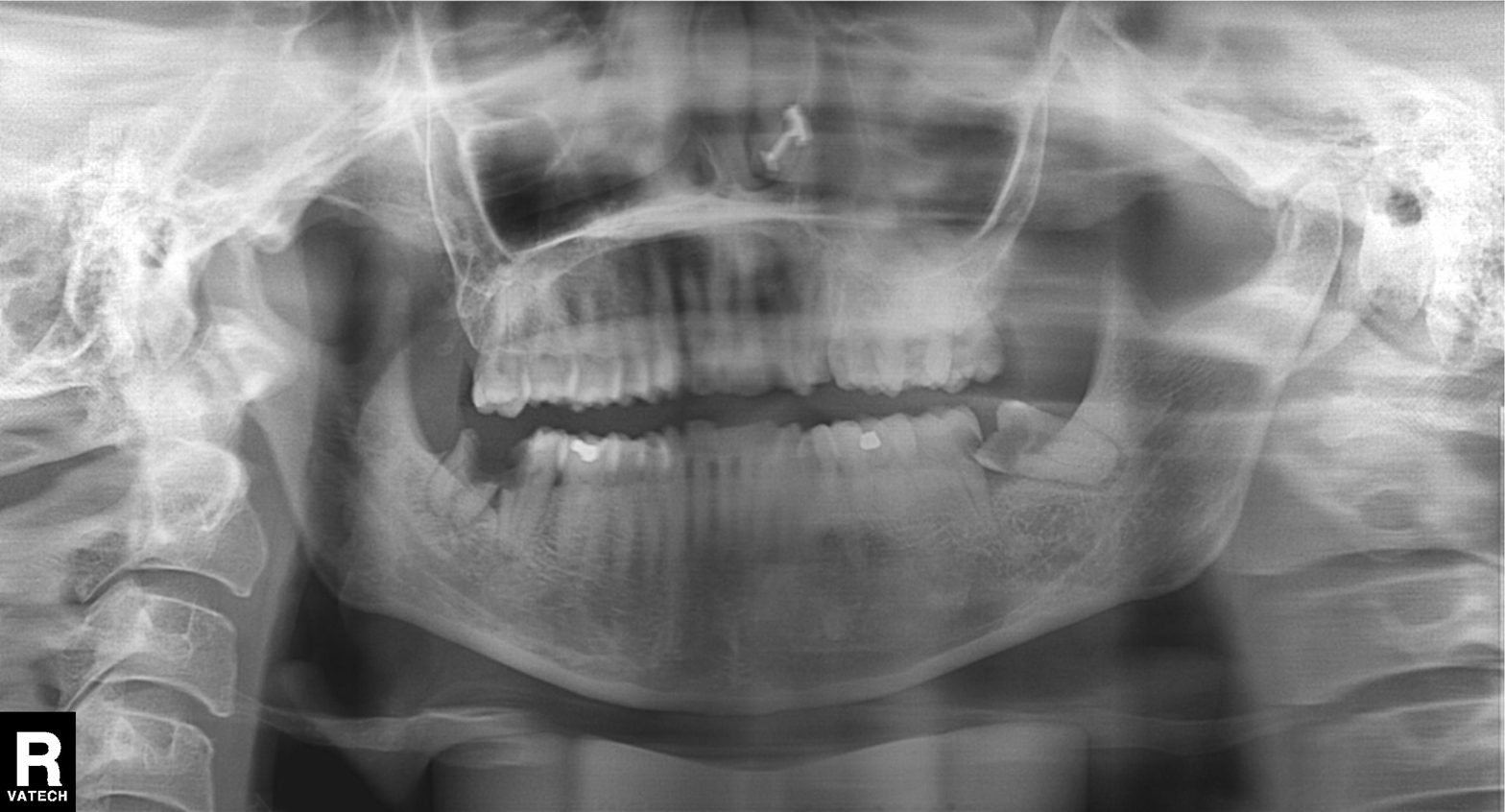
Panoramic dental radiograph (orthopantomogram). Finding: dental caries (cavities).